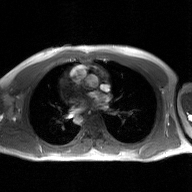
Summary:
2D phase-contrast cine MRI of the ascending aorta, GAN super-resolution reconstruction.